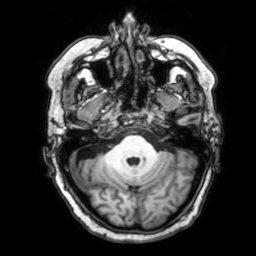
<study>
  <modality>
    <type>brain MRI</type>
    <field_strength>3T</field_strength>
  </modality>
  <series>3D T1-weighted with SENSE</series>
  <study_topic>ring-enhancing brain masses</study_topic>
</study>